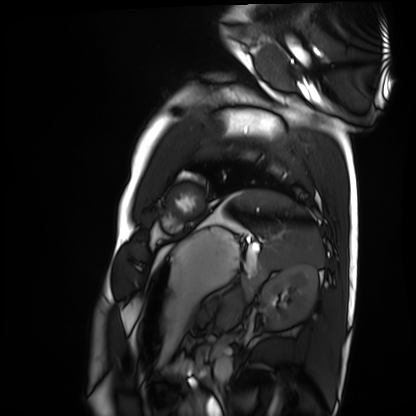
Cardiac MRI. Subject group: healthy volunteer.